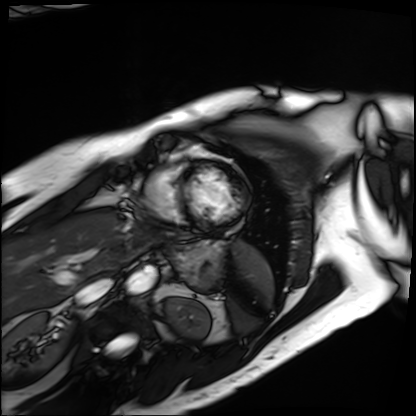
Cardiac MRI.
Subject group: patient.